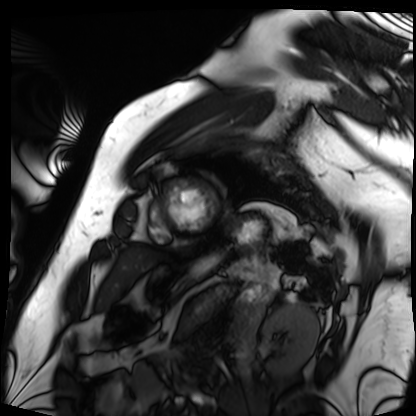
Cardiac MRI. Subject group: patient.